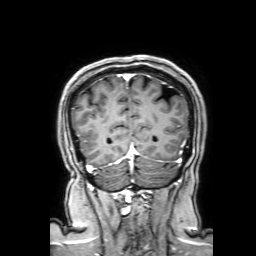
Summary: 3 Tesla brain MRI. Series: 3D T1-weighted with SENSE. Study: ring-enhancing brain masses.